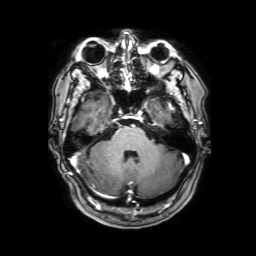
Summary: 3 Tesla brain MRI. Study: ring-enhancing brain masses.